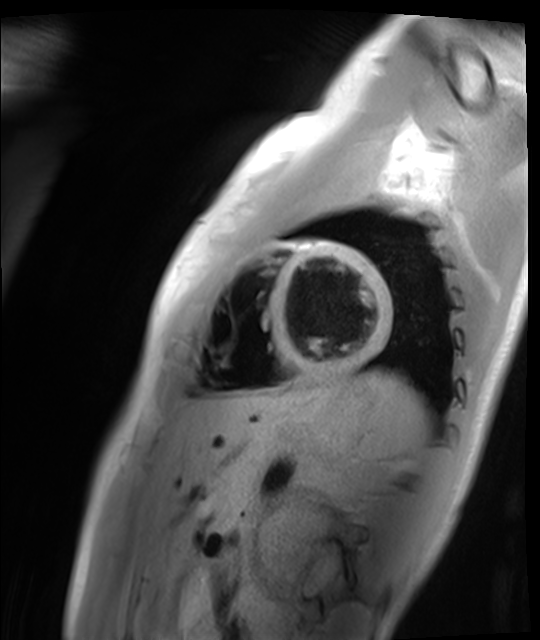
Cardiac MR image of the myocardium.
Subject cohort: healthy volunteer.